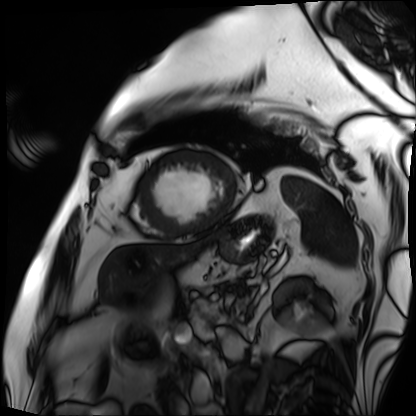
modality = cardiac MRI; subject group = patient.